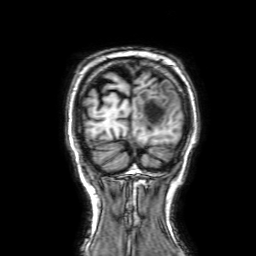
Summary:
3 Tesla brain MRI. Series: 3D T1-weighted with SENSE. Study: ring-enhancing brain masses.